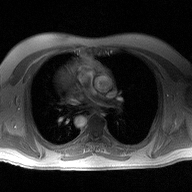
modality: 2D phase-contrast cine MRI of the ascending aorta.